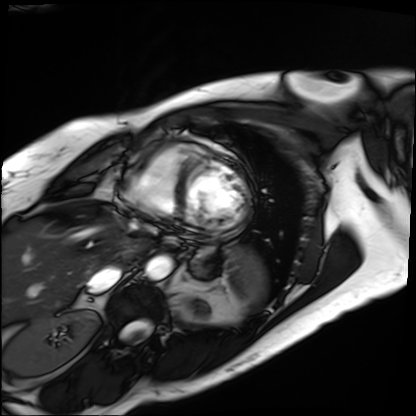
Q: What kind of scan is this?
A: Cardiac MRI.
Subject group: patient.